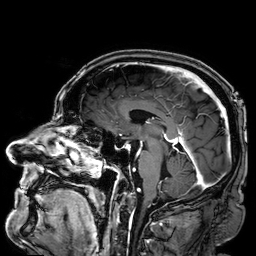
* modality — 3 Tesla brain MRI
* series — 3D T1-weighted
* study — ring-enhancing brain masses